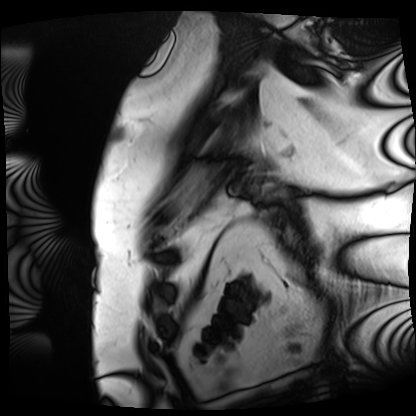
modality = cardiac MRI, subject group = patient.